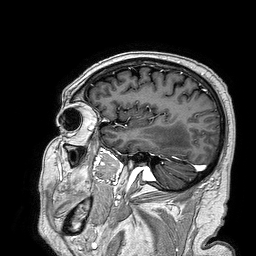
3 Tesla brain MRI.
Series: 3D T1-weighted turbo field echo.
Study: ring-enhancing brain masses.